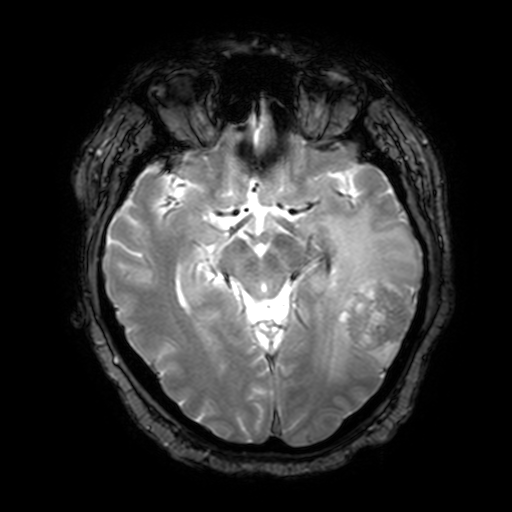
• modality: 3 Tesla brain MRI
• series: T2-weighted fast field echo with SENSE
• study: ring-enhancing brain masses